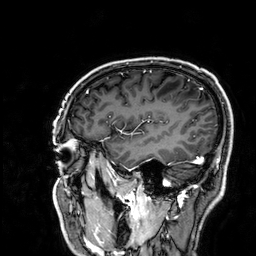
modality = 3 Tesla brain MRI
series = 3D T1-weighted
study = ring-enhancing brain masses